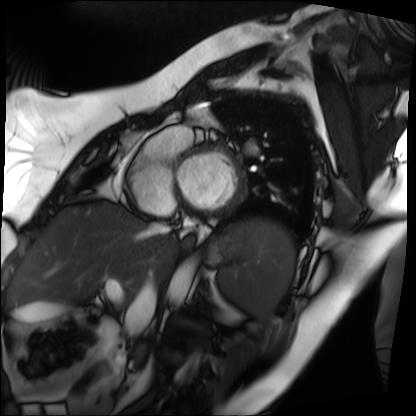
Cardiac MRI. Subject group: patient.